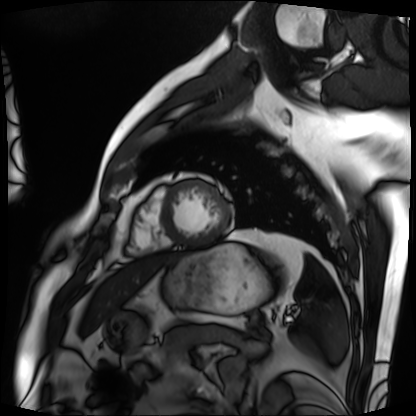
modality: cardiac MRI; subject group: patient.